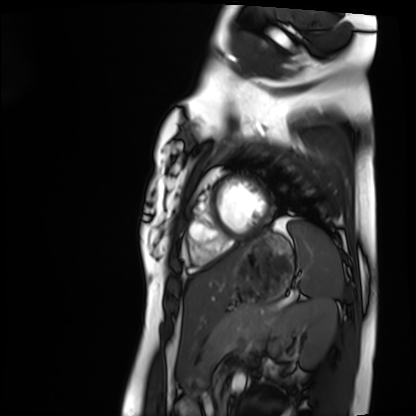
Q: What kind of scan is this?
A: Cardiac MRI.
Subject group: healthy volunteer.